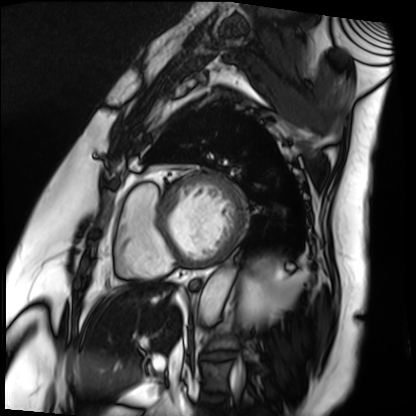
Q: What kind of scan is this?
A: Cardiac MRI.
Subject group: patient.